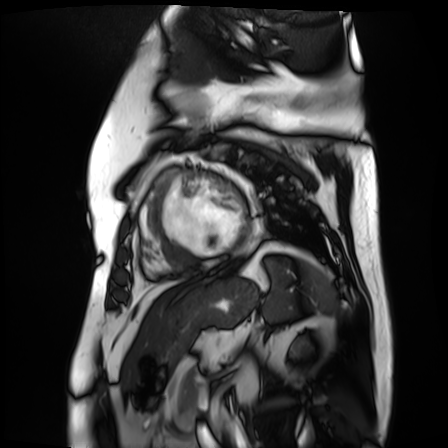
- modality: cardiac MR image of the myocardium
- subject cohort: cardiac patient